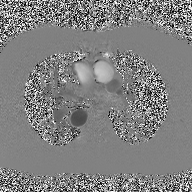
2D phase-contrast cine MRI of the ascending aorta, high-resolution GRAPPA acquisition.